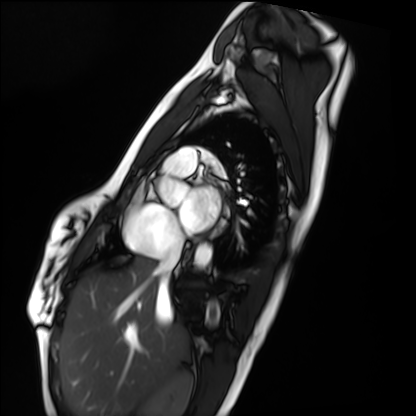
  modality: cardiac MRI
  cohort: healthy volunteer